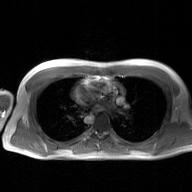
modality: 2D phase-contrast cine MRI of the ascending aorta, GAN super-resolution reconstruction